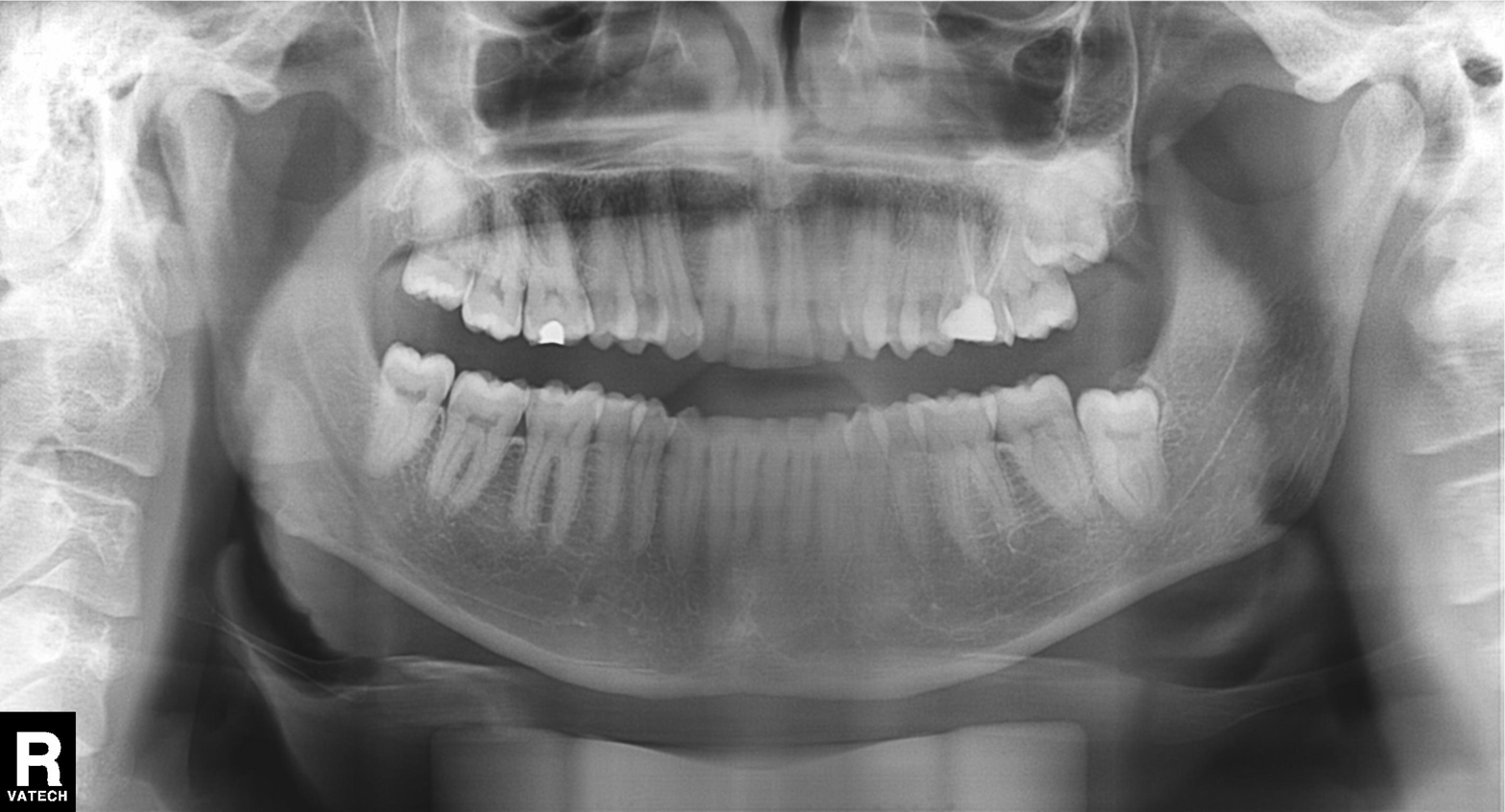
{"modality": "panoramic dental radiograph (orthopantomogram)", "finding": "dental caries (cavities)"}